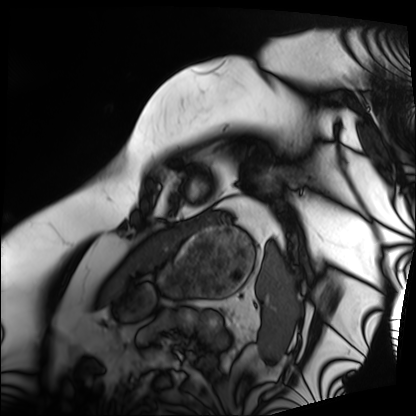
– modality · cardiac MRI
– subject group · patient